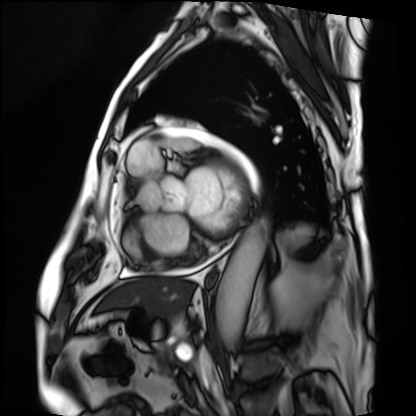
modality=cardiac MRI | subject group=patient.